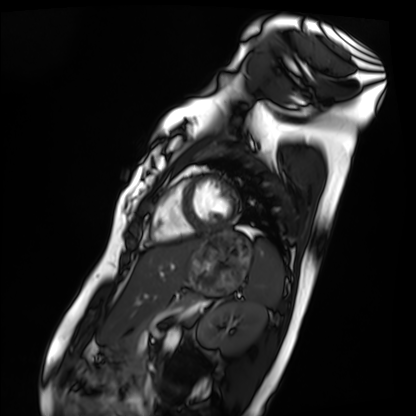
Clinical context:
Cardiac MRI. Subject group: healthy volunteer.